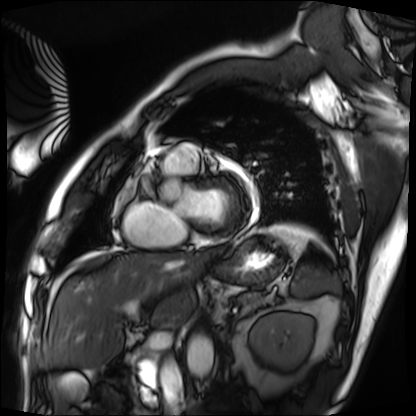
modality=cardiac MRI
subject group=patient